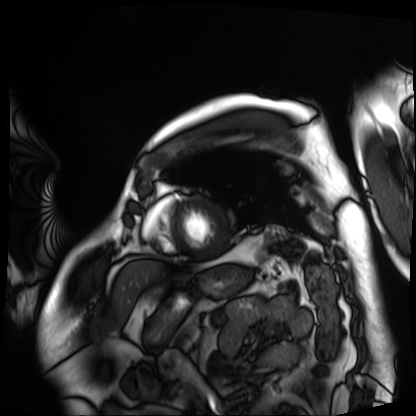
{
  "modality": "cardiac MRI",
  "cohort": "patient"
}